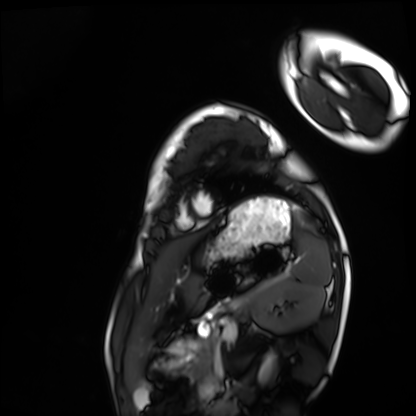
Q: What kind of scan is this?
A: Cardiac MRI.
Subject group: healthy volunteer.